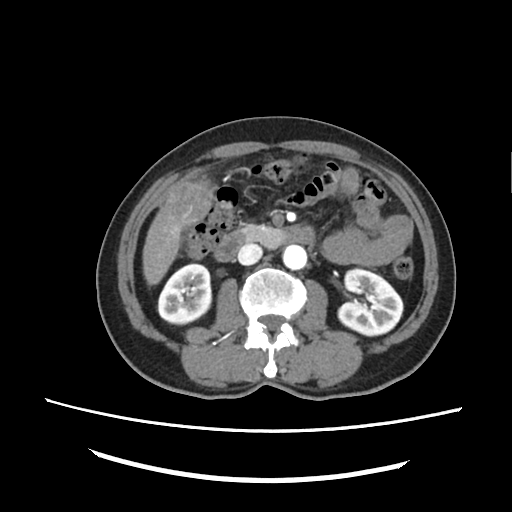
modality = multiphase abdominal CT, liver, arterial phase; patient = male, age 72.